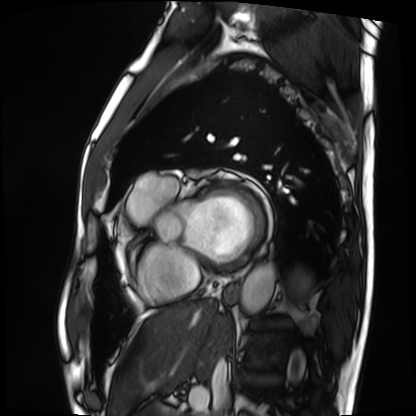
modality: cardiac MRI | subject group: patient.